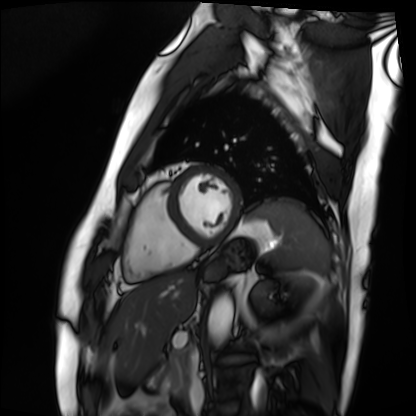
Q: What kind of scan is this?
A: Cardiac MRI.
Subject group: patient.